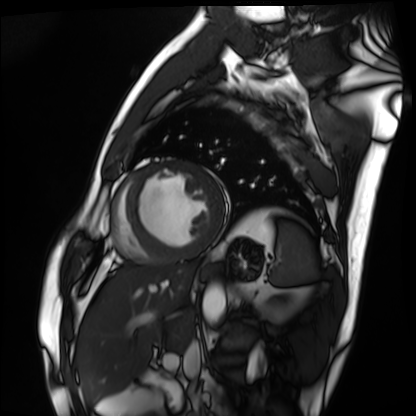
• modality — cardiac MRI
• subject group — patient